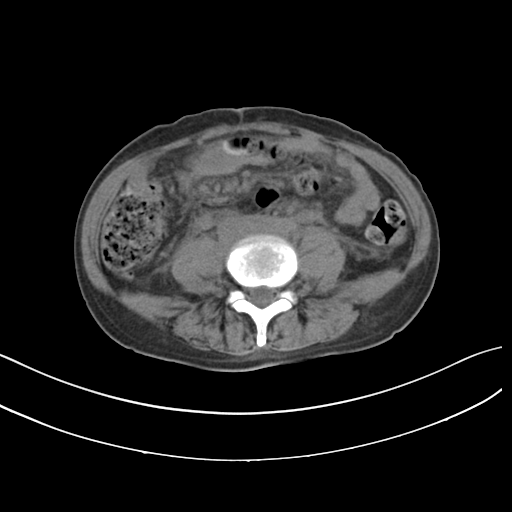
Multiphase abdominal CT, liver, non-contrast phase. Patient: female, age 59.